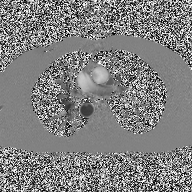
2D phase-contrast cine MRI of the ascending aorta, high-resolution GRAPPA acquisition.